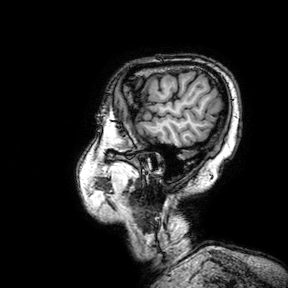
3 Tesla brain MRI.
Study: ring-enhancing brain masses.